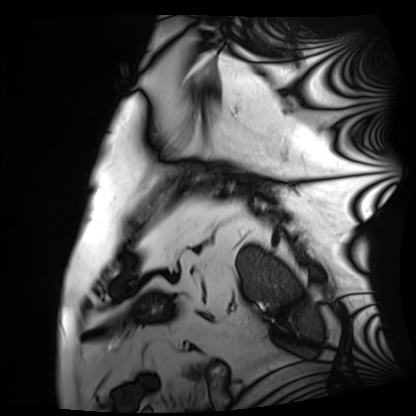
Cardiac MRI. Subject group: patient.